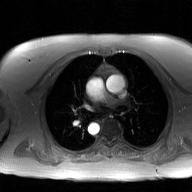
2D phase-contrast cine MRI of the ascending aorta, GAN super-resolution reconstruction.